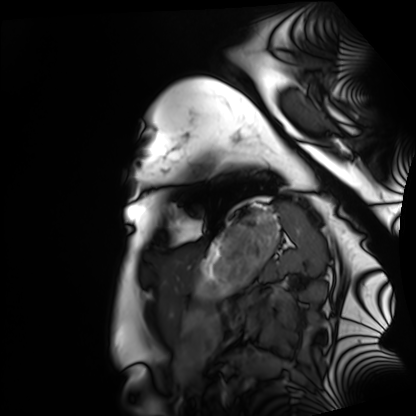
Cardiac MRI. Subject group: healthy volunteer.